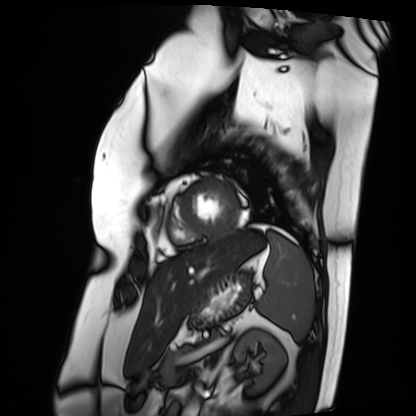
Q: What kind of scan is this?
A: Cardiac MRI.
Subject group: patient.